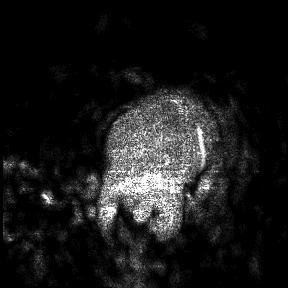
Summary: 3 Tesla brain MRI. Study: ring-enhancing brain masses.